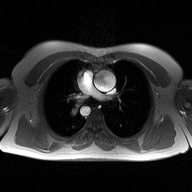
modality: 2D phase-contrast cine MRI of the ascending aorta